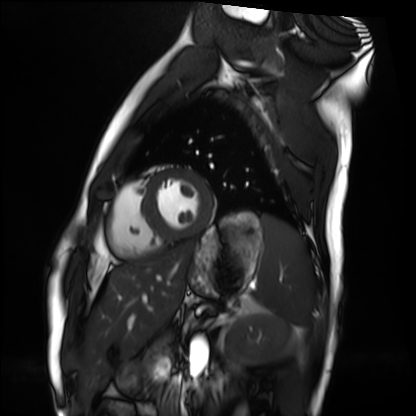
Cardiac MRI.
Subject group: healthy volunteer.